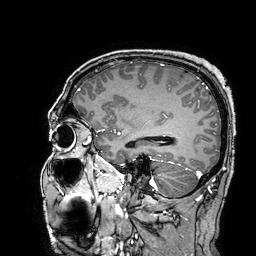
3 Tesla brain MRI.
Series: 3D T1-weighted turbo field echo with SENSE.
Study: ring-enhancing brain masses.